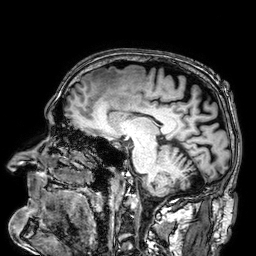
3 Tesla brain MRI. Series: 3D T1-weighted. Study: ring-enhancing brain masses.